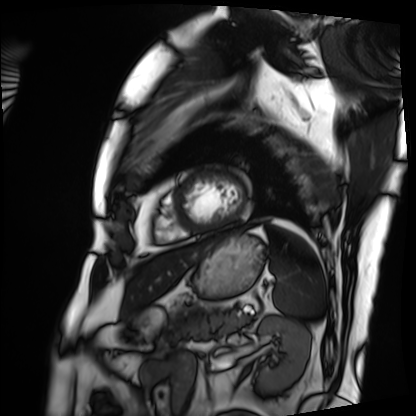
Cardiac MRI. Subject group: patient.